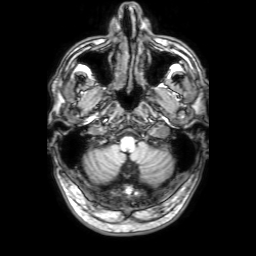
3 Tesla brain MRI. Series: 3D T1-weighted with SENSE. Study: ring-enhancing brain masses.